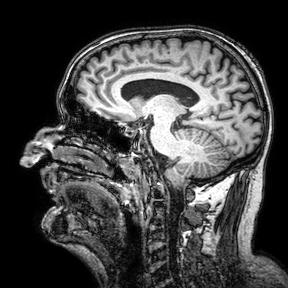
modality — 3 Tesla brain MRI | series — 3D T1-weighted turbo field echo with SENSE | study — ring-enhancing brain masses.